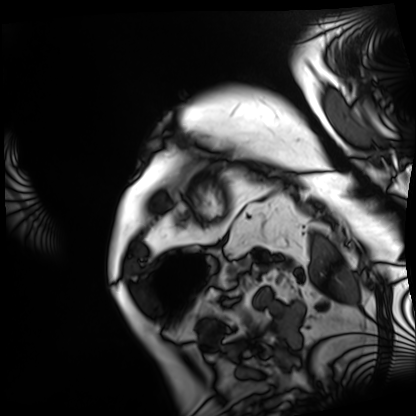
Cardiac MRI.
Subject group: patient.